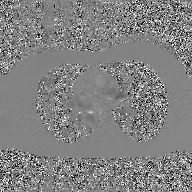
* modality · 2D phase-contrast cine MRI of the ascending aorta, GAN super-resolution reconstruction